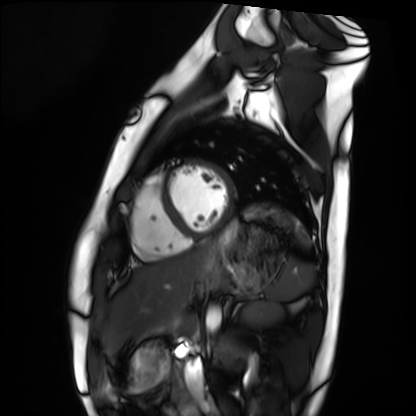
Cardiac MRI. Subject group: healthy volunteer.